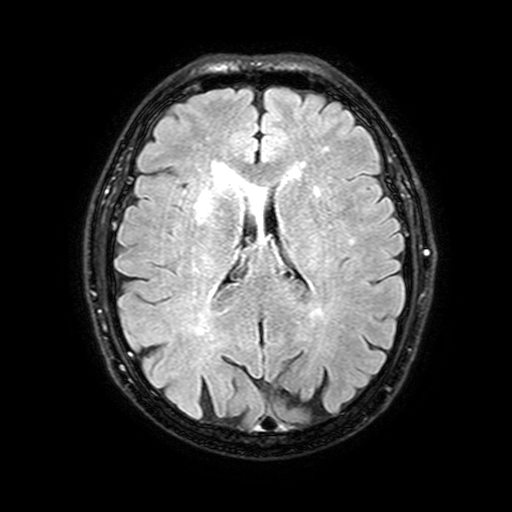
3 Tesla brain MRI. Study: ring-enhancing brain masses.